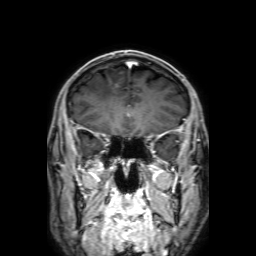
Summary: 3 Tesla brain MRI. Series: 3D T1-weighted with SENSE. Study: ring-enhancing brain masses.